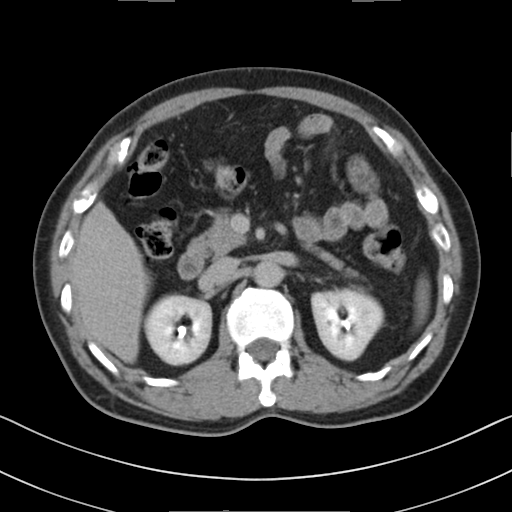
modality: multiphase abdominal CT, liver, delayed phase; patient: male, age 60.